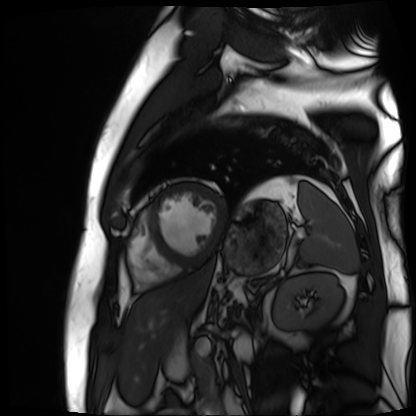
modality: cardiac MR image of the myocardium
cohort: cardiac patient